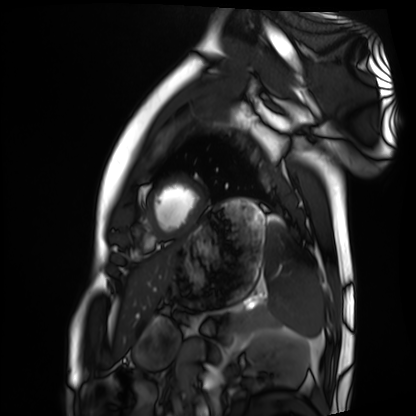
{"modality": "cardiac MRI", "cohort": "healthy volunteer"}